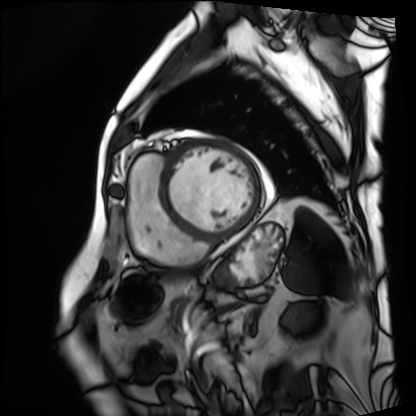
Cardiac MRI.
Subject group: patient.